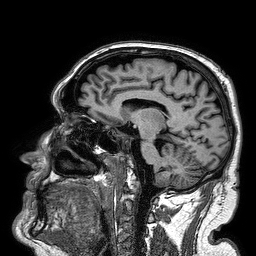
Clinical context:
3 Tesla brain MRI. Series: 3D T1-weighted turbo field echo. Study: ring-enhancing brain masses.